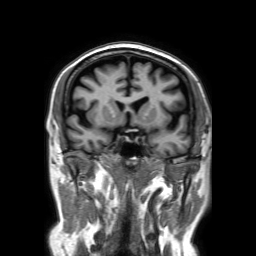
| field | value |
|---|---|
| modality | 3 Tesla brain MRI |
| series | 3D T1-weighted TFE with SENSE |
| study | ring-enhancing brain masses |